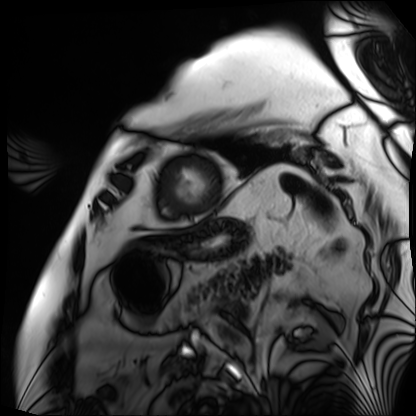
Summary:
Cardiac MRI. Subject group: patient.